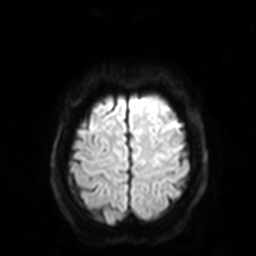
<scan>
<modality>
  <type>brain MRI</type>
  <field_strength>3T</field_strength>
</modality>
<series>diffusion-weighted imaging with SENSE (WIP)</series>
<study_topic>ring-enhancing brain masses</study_topic>
</scan>